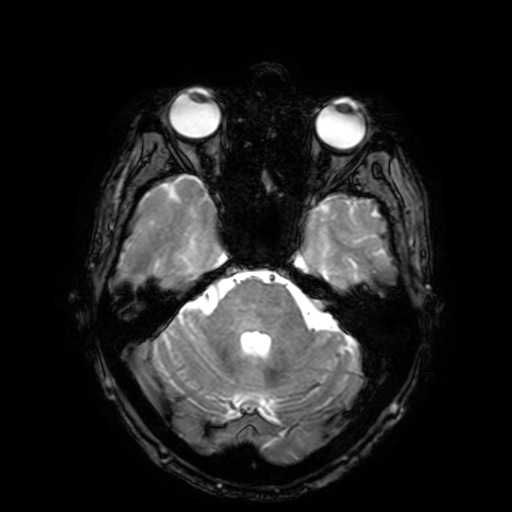
Case summary:
3 Tesla brain MRI. Series: T2-weighted fast field echo with SENSE. Study: ring-enhancing brain masses.